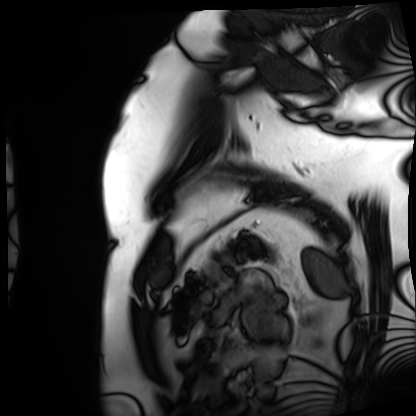
– modality — cardiac MRI
– subject group — patient